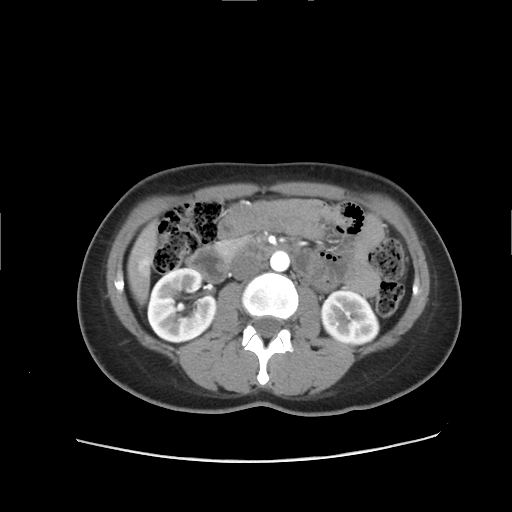
{"modality": {"type": "multiphase abdominal CT", "region": "liver", "phase": "arterial"}, "patient": {"sex": "female", "age": 29}}